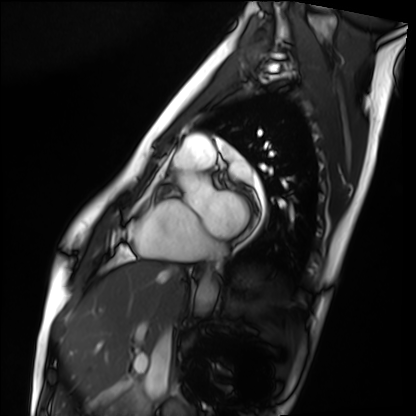
Cardiac MRI. Subject group: healthy volunteer.